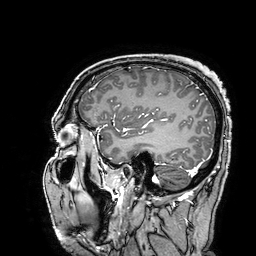
modality = 3 Tesla brain MRI
series = 3D T1-weighted turbo field echo with SENSE
study = ring-enhancing brain masses